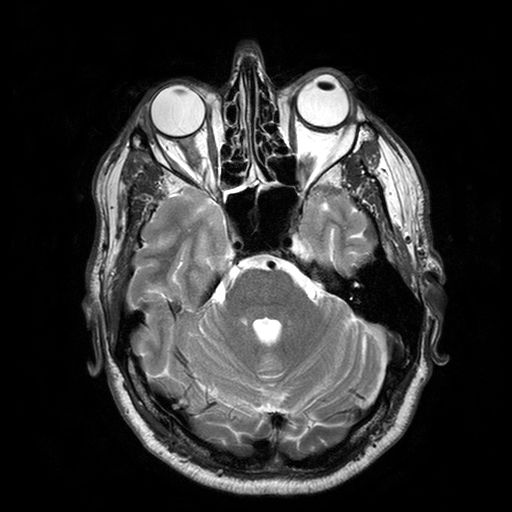
3 Tesla brain MRI.
Series: T2-weighted turbo spin echo with SENSE.
Study: ring-enhancing brain masses.